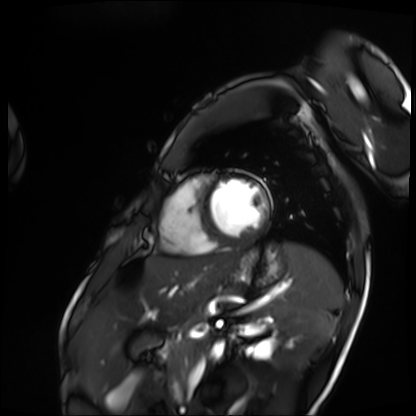
Cardiac MRI. Subject group: patient.